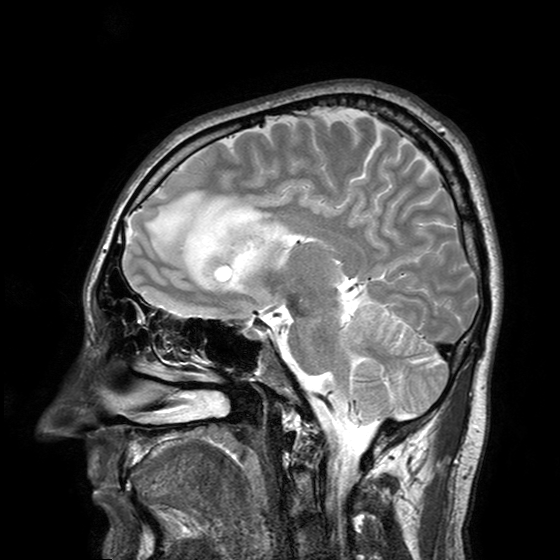
modality:
  type: brain MRI
  field_strength: 3T
series: T2-weighted turbo spin echo with SENSE
study_topic: ring-enhancing brain masses